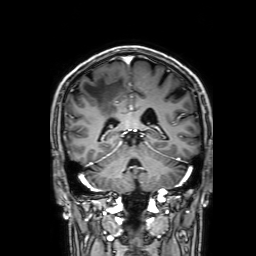
3 Tesla brain MRI.
Series: 3D T1-weighted with SENSE.
Study: ring-enhancing brain masses.